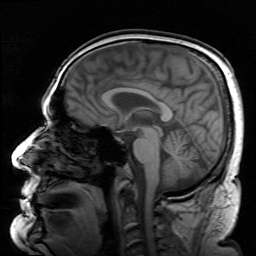
Summary:
3 Tesla brain MRI. Series: survey. Study: ring-enhancing brain masses.